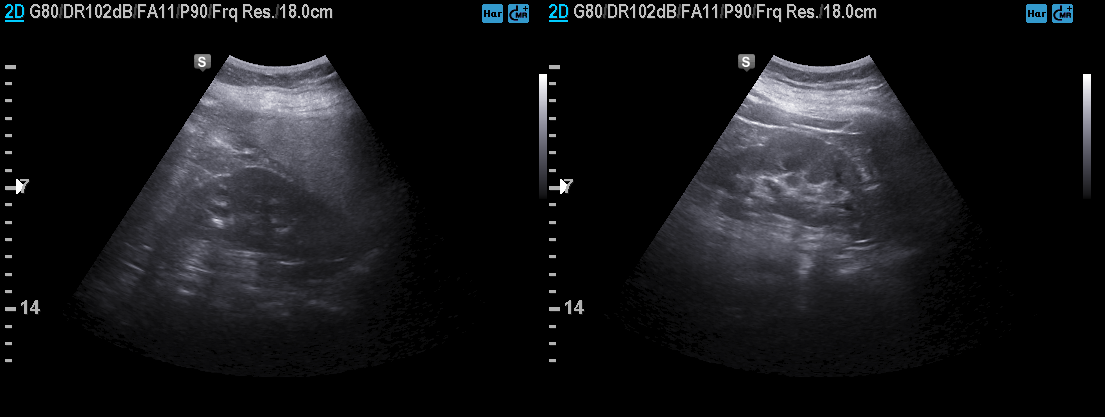
Summary:
Genitourinary ultrasound.